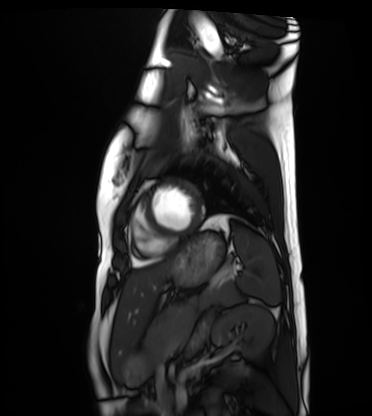
modality: cardiac MRI
cohort: healthy volunteer